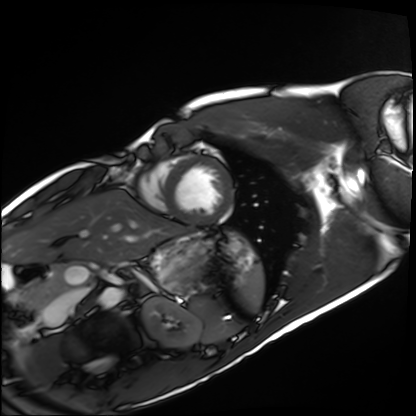
| field | value |
|---|---|
| modality | cardiac MRI |
| subject group | healthy volunteer |